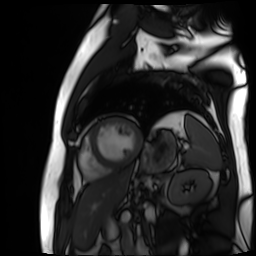
- modality · cardiac MR image of the myocardium
- subject cohort · cardiac patient